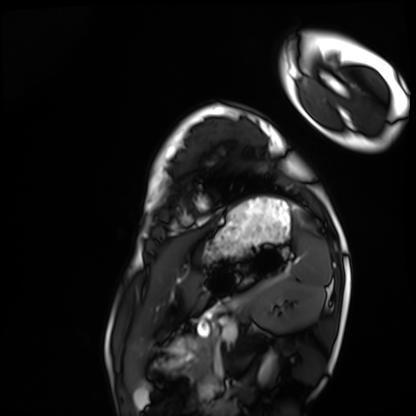
Q: What kind of scan is this?
A: Cardiac MRI.
Subject group: healthy volunteer.